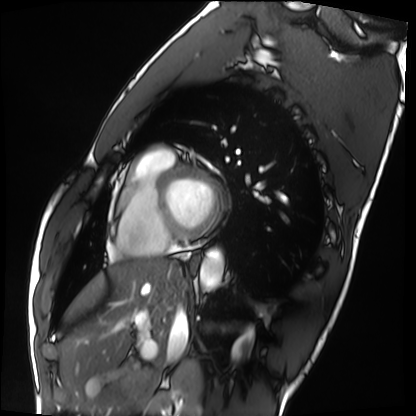
Cardiac MRI.
Subject group: healthy volunteer.